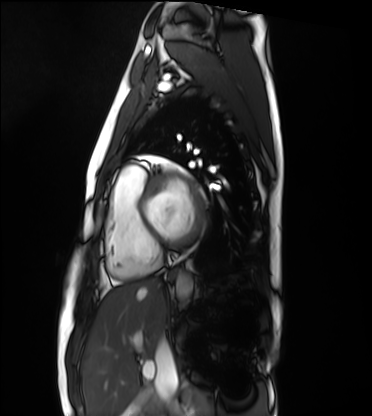
Cardiac MRI. Subject group: healthy volunteer.